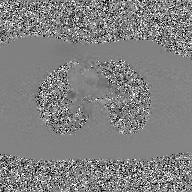
2D phase-contrast cine MRI of the ascending aorta, GAN super-resolution reconstruction.